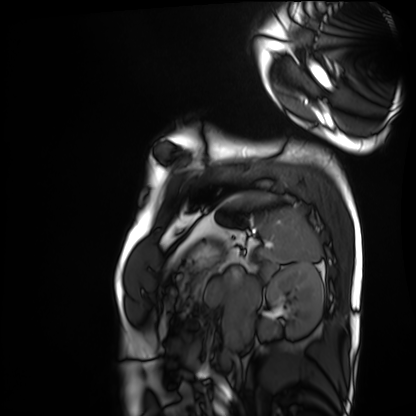
Case:
- modality: cardiac MRI
- subject group: healthy volunteer